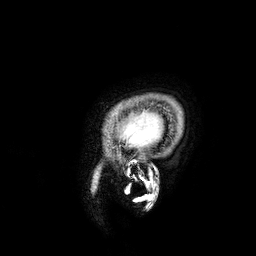
Case:
– modality: 3 Tesla brain MRI
– series: 3D T1-weighted
– study: ring-enhancing brain masses